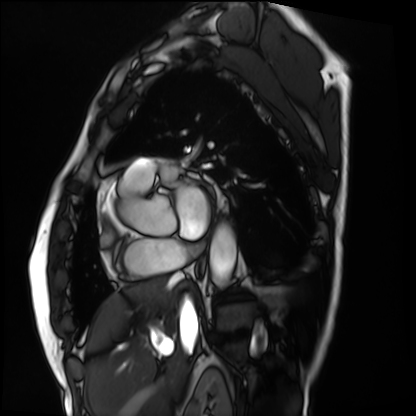
- modality · cardiac MRI
- subject group · patient